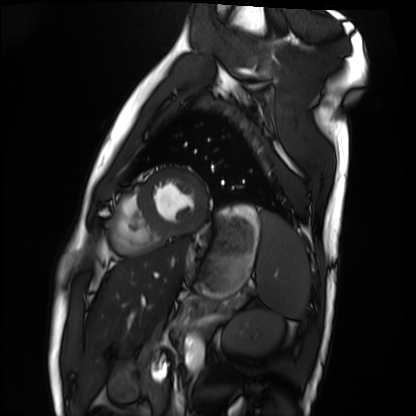
modality = cardiac MRI
subject group = healthy volunteer